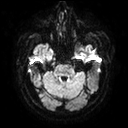
modality: 3 Tesla brain MRI | series: diffusion tensor imaging (medium iso) | study: ring-enhancing brain masses.